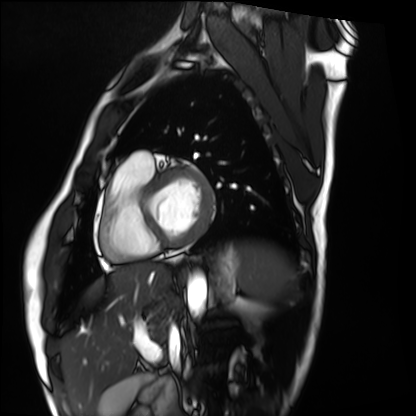
Cardiac MRI. Subject group: healthy volunteer.